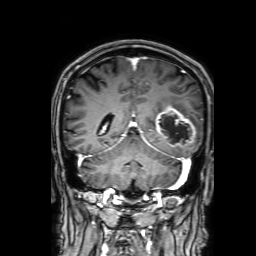
Case summary: 3 Tesla brain MRI. Series: 3D T1-weighted with SENSE. Study: ring-enhancing brain masses.